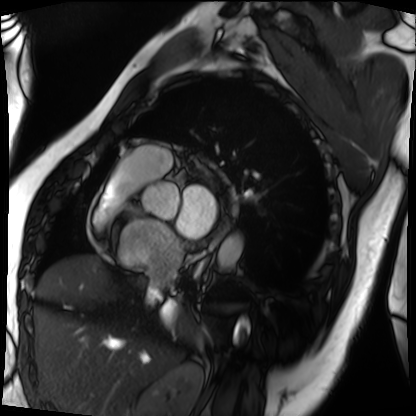
Cardiac MRI.
Subject group: patient.